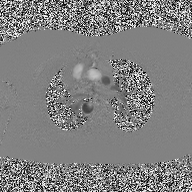
Case:
* modality · 2D phase-contrast cine MRI of the ascending aorta